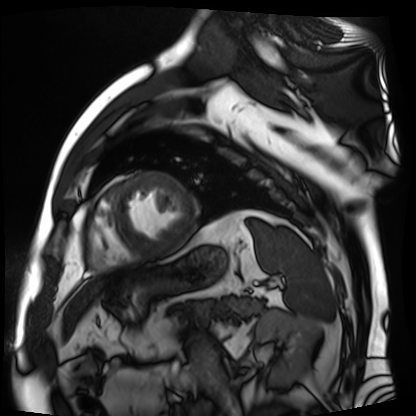
• modality · cardiac MR image of the myocardium
• subject cohort · cardiac patient